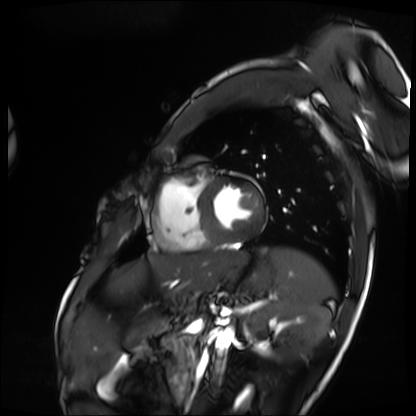
Cardiac MRI. Subject group: patient.